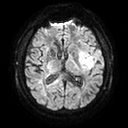
modality = 3 Tesla brain MRI | series = diffusion tensor imaging (medium iso) | study = ring-enhancing brain masses.